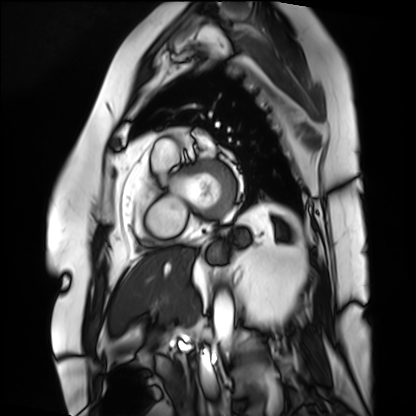
modality=cardiac MRI
subject group=patient